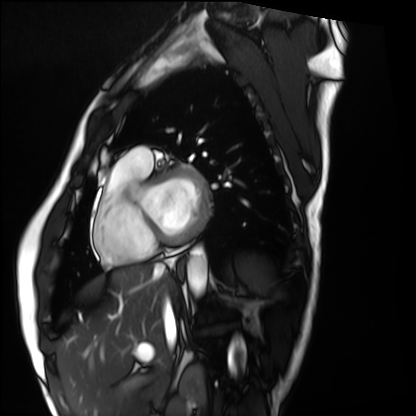
Cardiac MRI. Subject group: healthy volunteer.